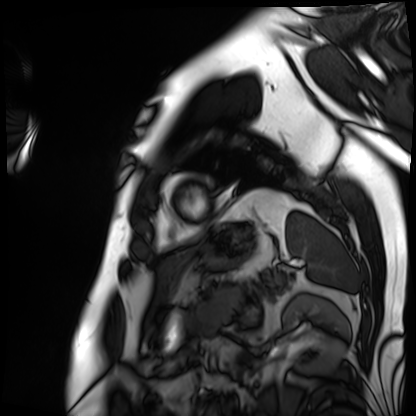
Cardiac MRI. Subject group: patient.